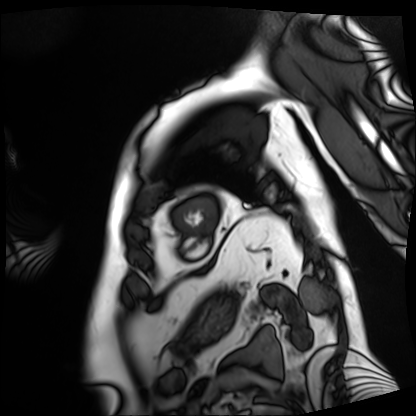
modality = cardiac MRI | subject group = patient.